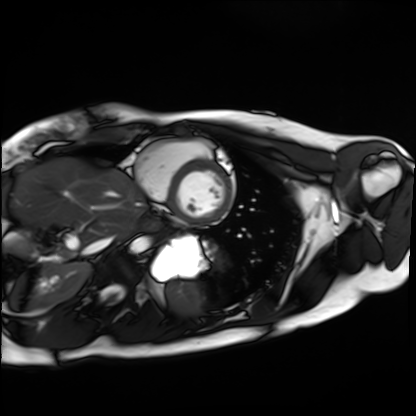
Summary: Cardiac MRI. Subject group: healthy volunteer.